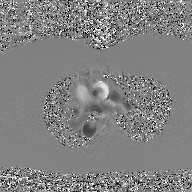
2D phase-contrast cine MRI of the ascending aorta, GAN super-resolution reconstruction.